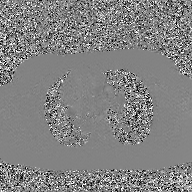
2D phase-contrast cine MRI of the ascending aorta, GAN super-resolution reconstruction.